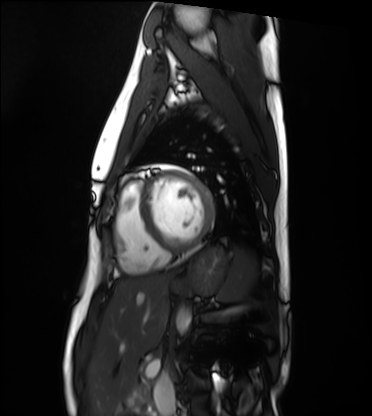
| field | value |
|---|---|
| modality | cardiac MRI |
| subject group | healthy volunteer |